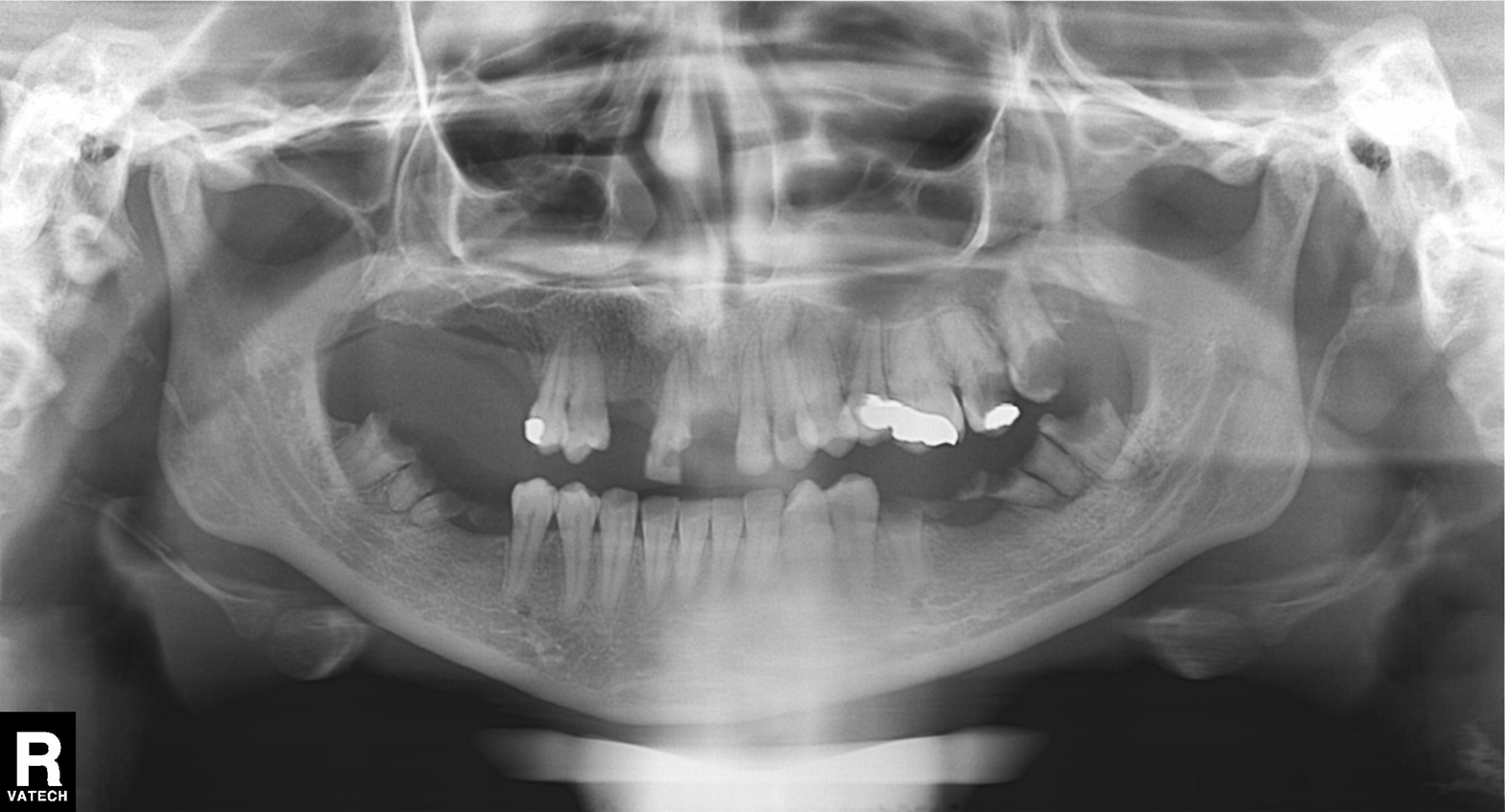
Clinical context: Panoramic dental radiograph (orthopantomogram).
Impression: Alveolar bone loss.